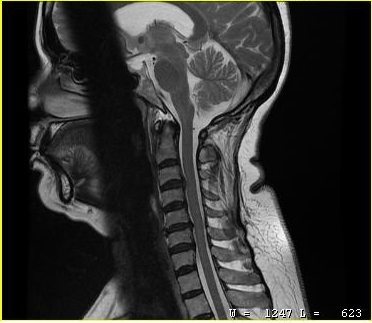
Summary:
MRI of the cervical spine. Study: cervical spondylosis.